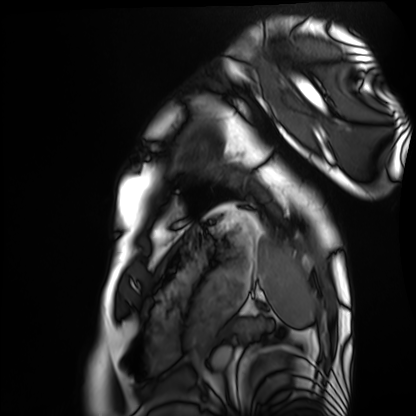
- modality — cardiac MRI
- subject group — healthy volunteer